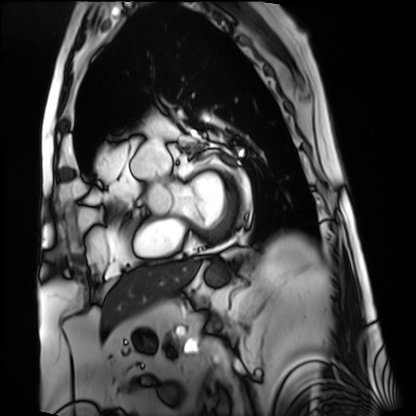
Q: What kind of scan is this?
A: Cardiac MRI.
Subject group: patient.